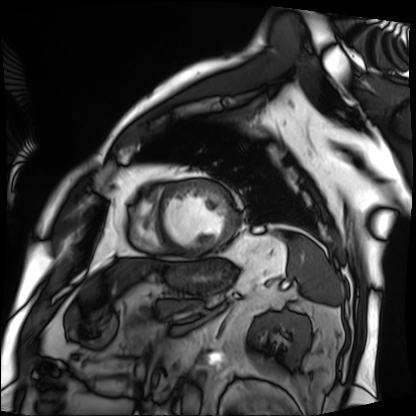
Cardiac MRI. Subject group: patient.